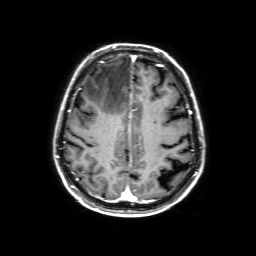
• modality — 3 Tesla brain MRI
• series — 3D T1-weighted with SENSE
• study — ring-enhancing brain masses